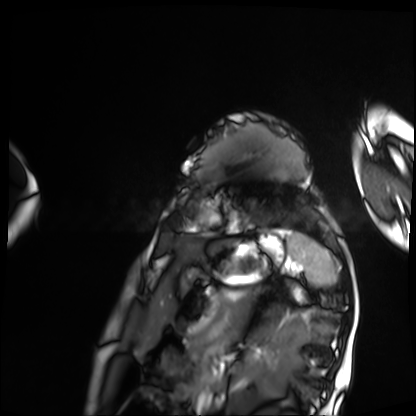
• modality: cardiac MRI
• subject group: patient